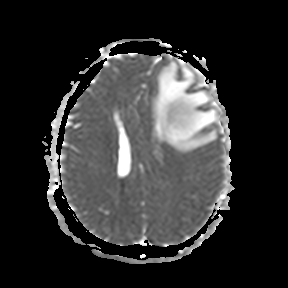
• modality · 3 Tesla brain MRI
• series · apparent diffusion coefficient (ADC) map
• study · ring-enhancing brain masses